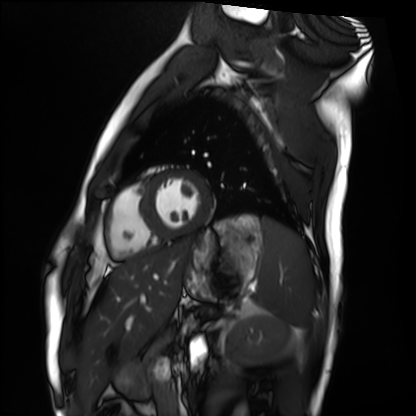
Cardiac MRI. Subject group: healthy volunteer.